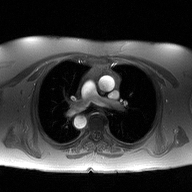
modality — 2D phase-contrast cine MRI of the ascending aorta.